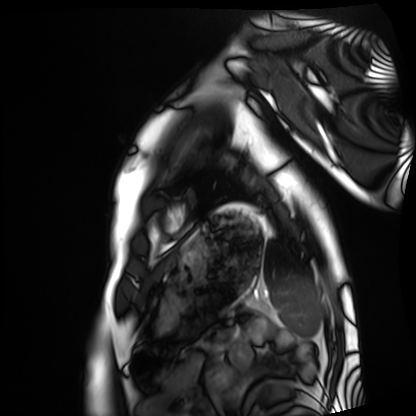
Cardiac MRI. Subject group: healthy volunteer.